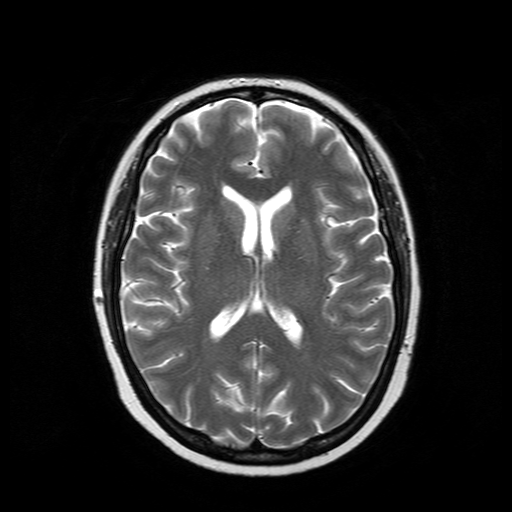
3 Tesla brain MRI. Study: ring-enhancing brain masses.